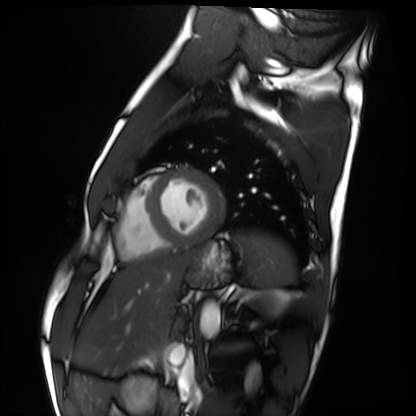
Case summary:
Cardiac MRI. Subject group: healthy volunteer.